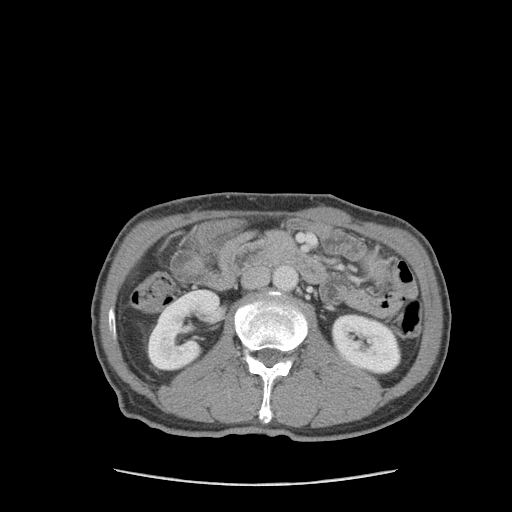
  modality:
    type: multiphase abdominal CT
    region: liver
    phase: portal venous
  patient:
    sex: male
    age: 59